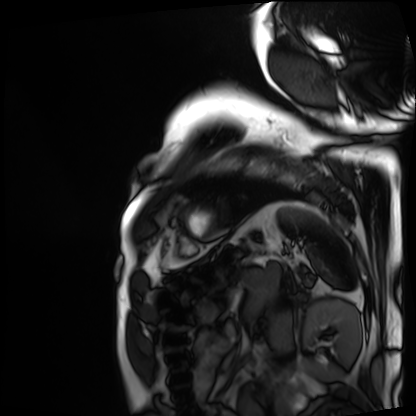
Case:
• modality · cardiac MRI
• subject group · patient